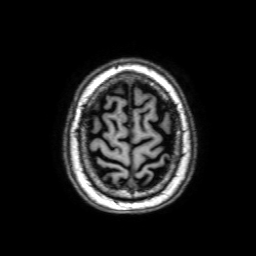
– modality: 3 Tesla brain MRI
– series: 3D T1-weighted with SENSE
– study: ring-enhancing brain masses